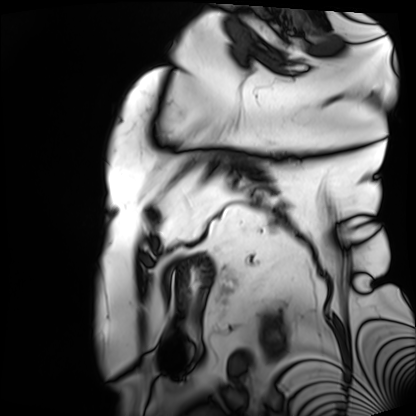
modality = cardiac MRI
subject group = patient